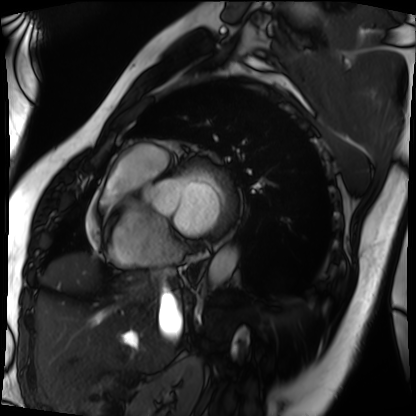
Cardiac MRI. Subject group: patient.